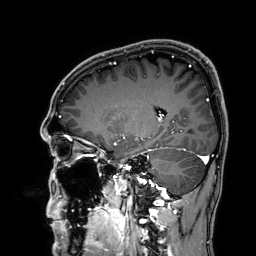
- modality — 3 Tesla brain MRI
- series — 3D T1-weighted
- study — ring-enhancing brain masses